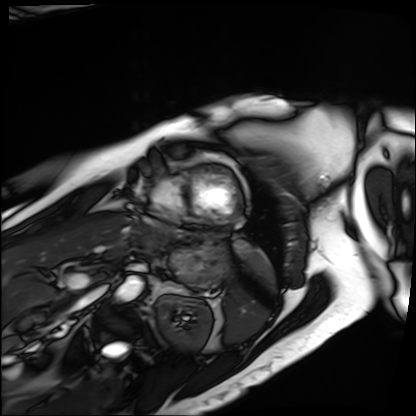
| field | value |
|---|---|
| modality | cardiac MRI |
| subject group | patient |